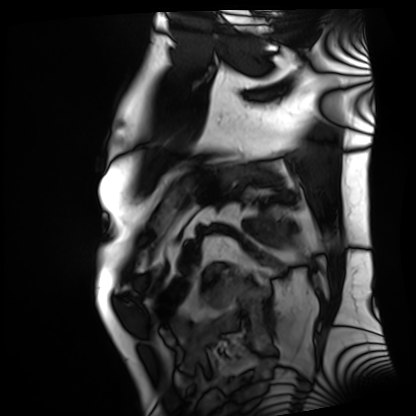
modality: cardiac MRI
cohort: patient